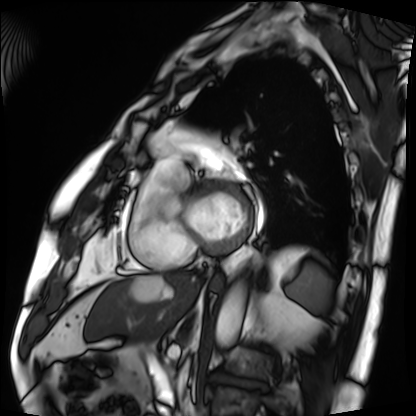
Cardiac MRI. Subject group: patient.